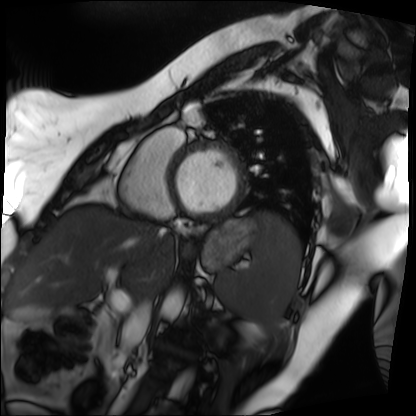
modality: cardiac MRI | subject group: patient.